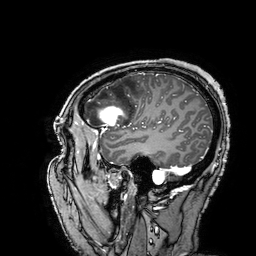
<study>
<modality>
  <type>brain MRI</type>
  <field_strength>3T</field_strength>
</modality>
<series>3D T1-weighted turbo field echo with SENSE</series>
<study_topic>ring-enhancing brain masses</study_topic>
</study>